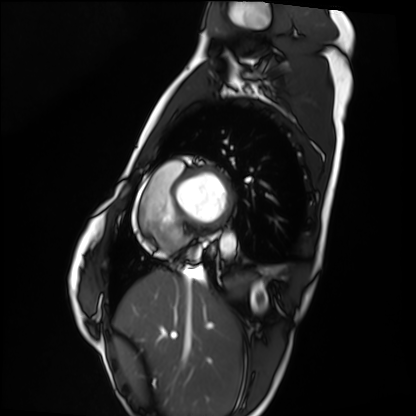
Case summary: Cardiac MRI. Subject group: healthy volunteer.